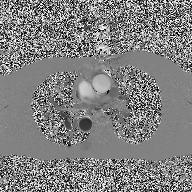
Case summary: 2D phase-contrast cine MRI of the ascending aorta, high-resolution GRAPPA acquisition.